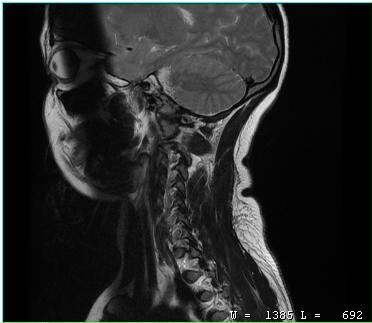
{"modality": {"type": "cervical spine MRI"}, "study_topic": "cervical spondylosis"}